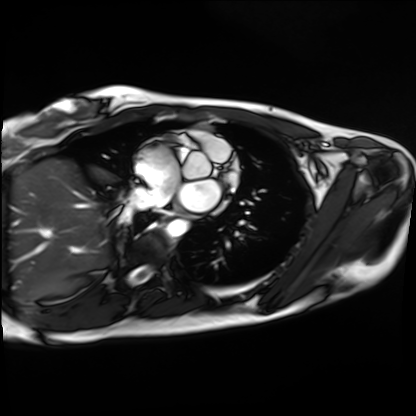
Cardiac MRI. Subject group: healthy volunteer.